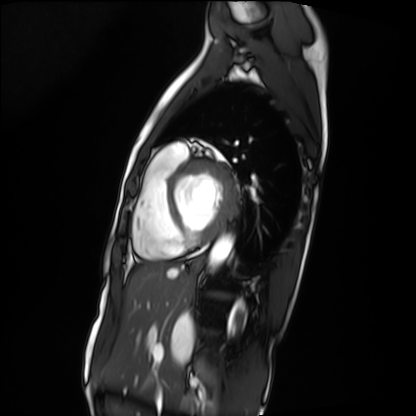
Q: What kind of scan is this?
A: Cardiac MRI.
Subject group: patient.